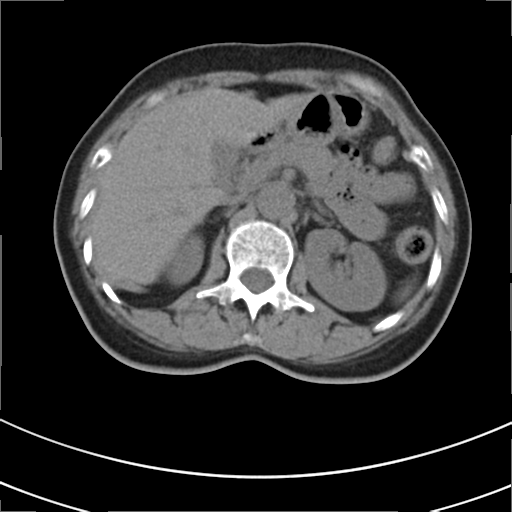
Multiphase abdominal CT, liver, non-contrast phase.
Patient: female, age 53.